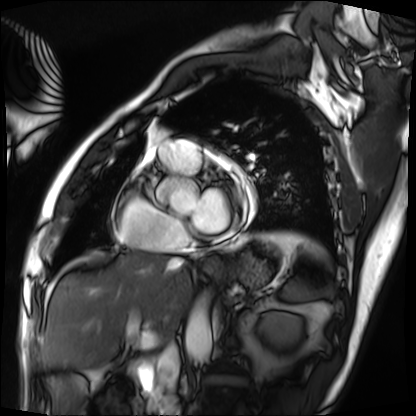
modality: cardiac MRI | subject group: patient.